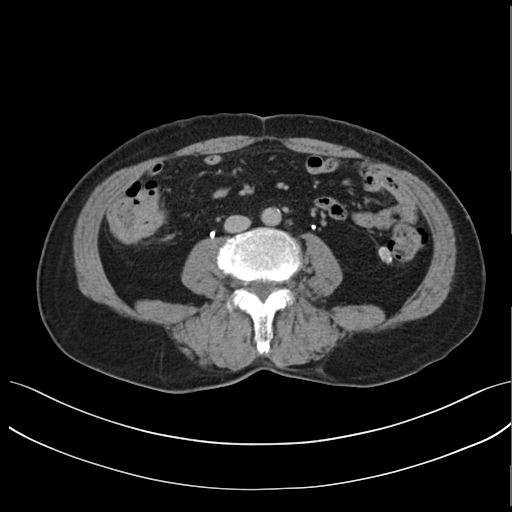
Multiphase abdominal CT, liver, delayed phase. Patient: male, age 72.